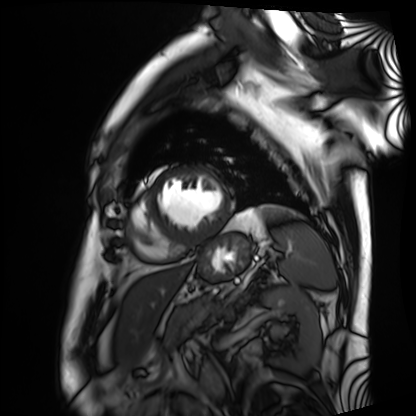
Case:
* modality — cardiac MRI
* subject group — patient